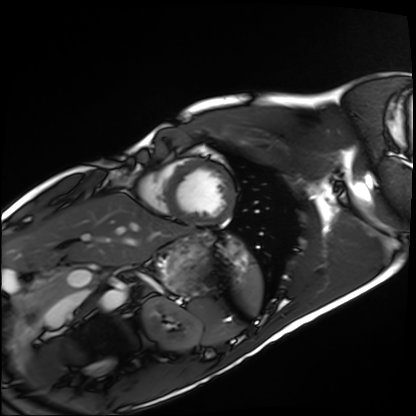
Cardiac MRI.
Subject group: healthy volunteer.